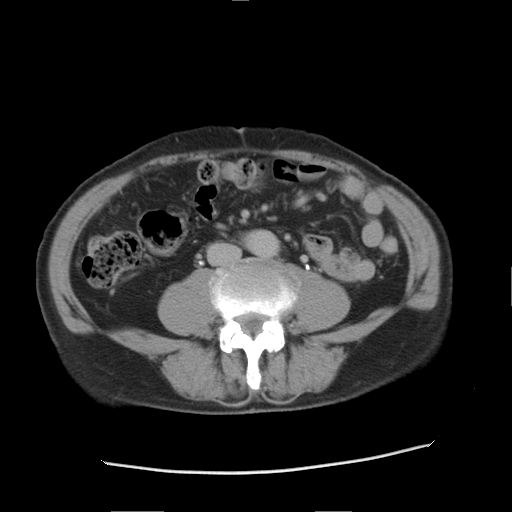
Multiphase abdominal CT, liver, delayed phase. Patient: male, age 76.